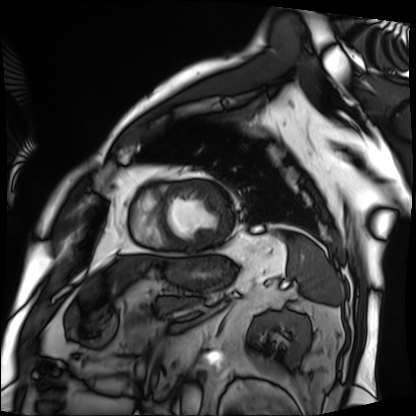
Cardiac MRI. Subject group: patient.